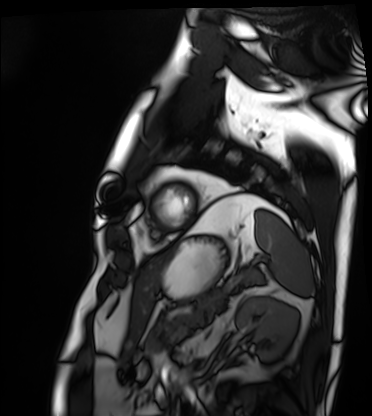
modality = cardiac MRI, subject group = patient.